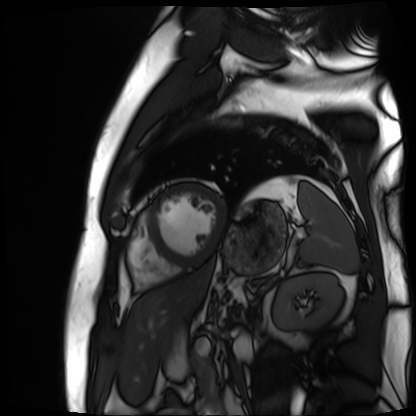
| field | value |
|---|---|
| modality | cardiac MR image of the myocardium |
| subject cohort | cardiac patient |